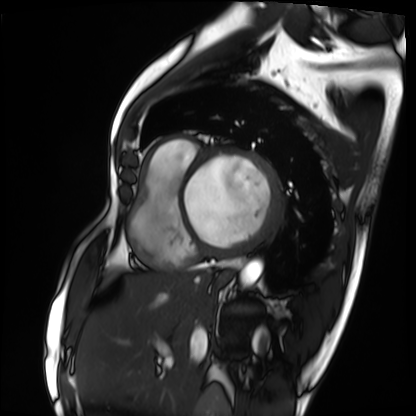
Cardiac MRI. Subject group: patient.